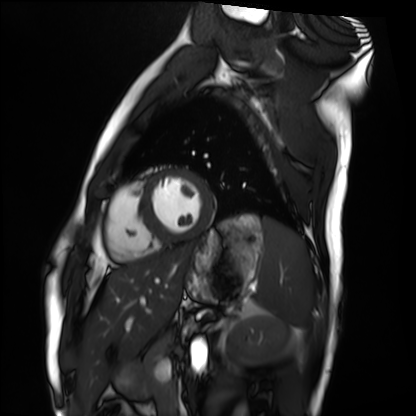
<case>
<modality>cardiac MRI</modality>
<cohort>healthy volunteer</cohort>
</case>